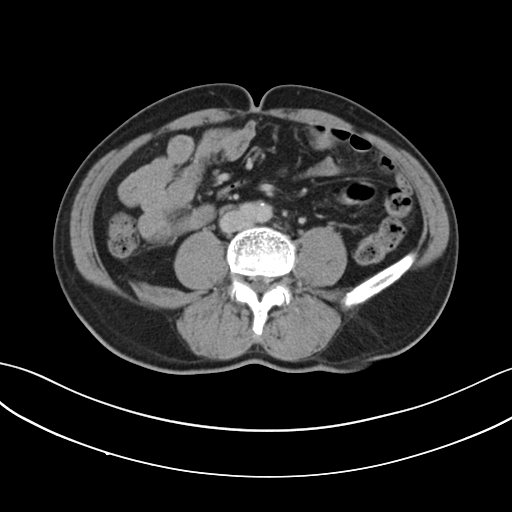
<study>
<modality>
  <type>multiphase abdominal CT</type>
  <region>liver</region>
  <phase>delayed</phase>
</modality>
<patient>
  <sex>male</sex>
  <age>66</age>
</patient>
</study>